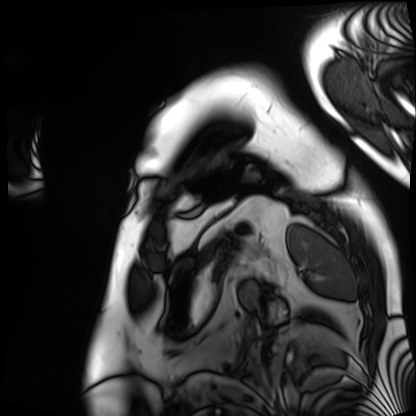
Cardiac MRI. Subject group: patient.